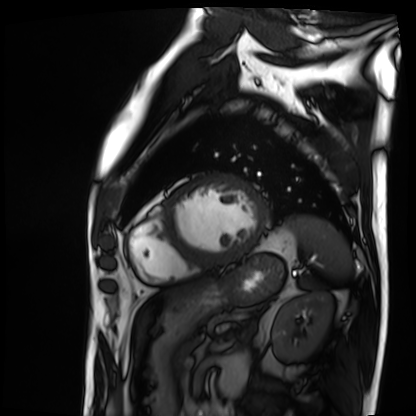
Case summary: Cardiac MRI. Subject group: patient.